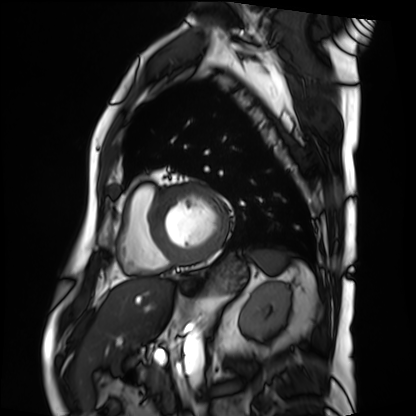
• modality · cardiac MRI
• subject group · patient